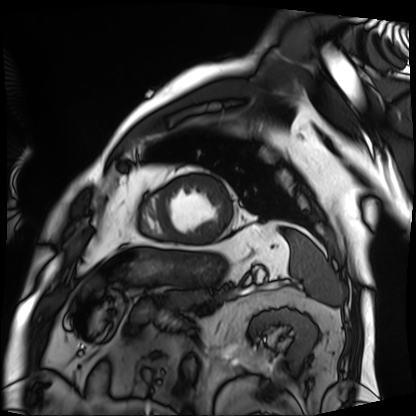
Q: What kind of scan is this?
A: Cardiac MRI.
Subject group: patient.